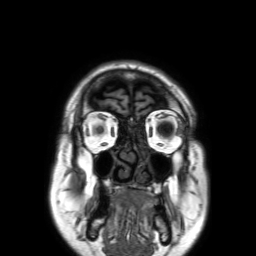
| field | value |
|---|---|
| modality | 3 Tesla brain MRI |
| series | 3D T1-weighted TFE with SENSE |
| study | ring-enhancing brain masses |